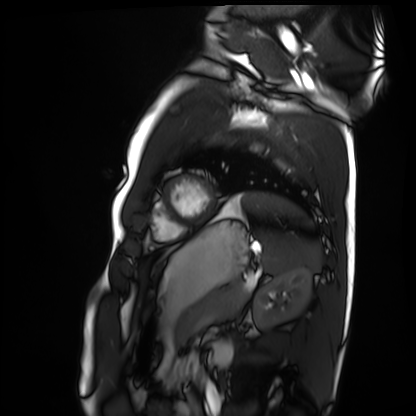
– modality · cardiac MRI
– subject group · healthy volunteer